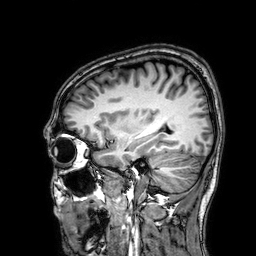
Summary: 3 Tesla brain MRI. Series: 3D T1-weighted. Study: ring-enhancing brain masses.